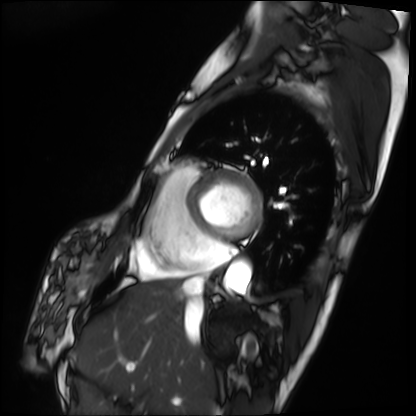
Q: What kind of scan is this?
A: Cardiac MRI.
Subject group: patient.